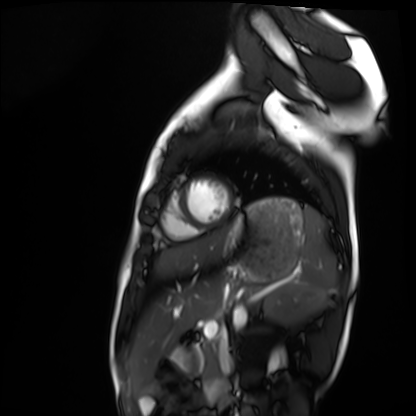
modality — cardiac MRI | subject group — healthy volunteer.